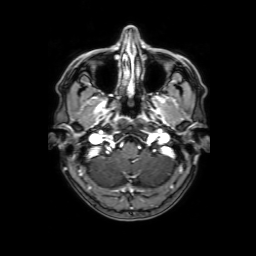
3 Tesla brain MRI. Series: 3D T1-weighted with SENSE. Study: ring-enhancing brain masses.